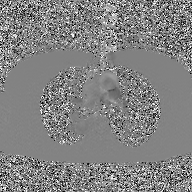
2D phase-contrast cine MRI of the ascending aorta, GAN super-resolution reconstruction.